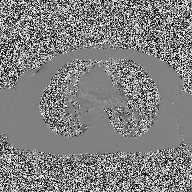
<case>
<modality>
  <type>2D phase-contrast cine MRI</type>
  <region>ascending aorta</region>
  <reconstruction>high-resolution GRAPPA acquisition</reconstruction>
</modality>
</case>